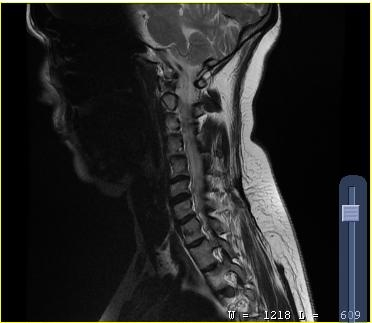
MRI of the cervical spine. Study: cervical spondylosis.